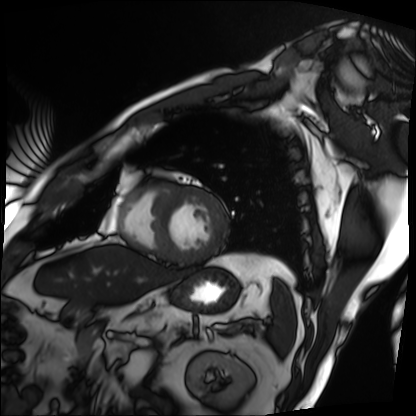
modality: cardiac MRI | subject group: patient.